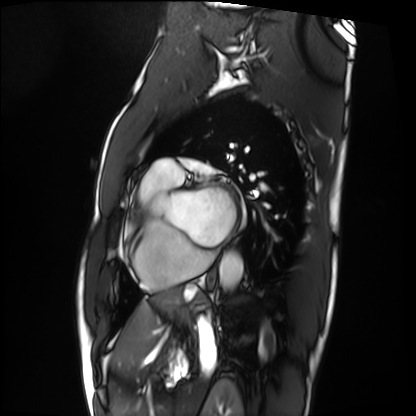
Q: What kind of scan is this?
A: Cardiac MRI.
Subject group: patient.